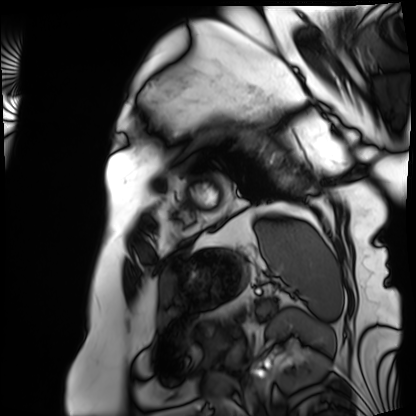
Cardiac MRI. Subject group: patient.